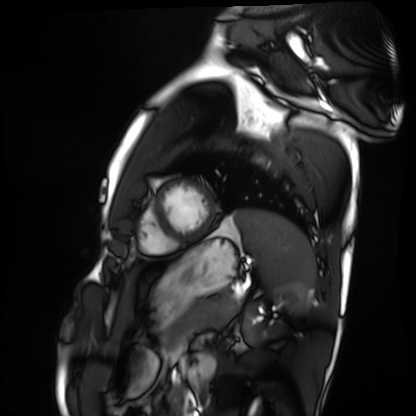
  modality: cardiac MRI
  cohort: healthy volunteer